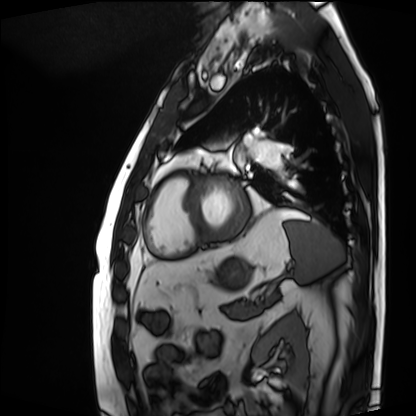
| field | value |
|---|---|
| modality | cardiac MRI |
| subject group | patient |